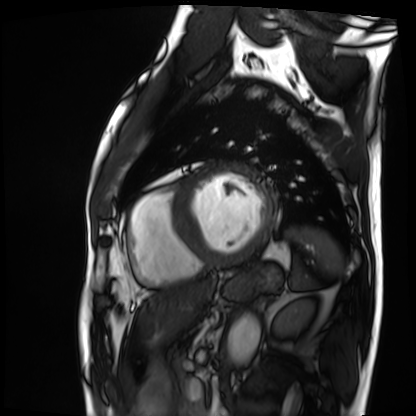
| field | value |
|---|---|
| modality | cardiac MRI |
| subject group | patient |